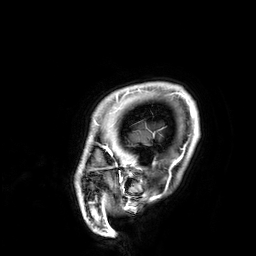
Summary: 3 Tesla brain MRI. Series: 3D T1-weighted. Study: ring-enhancing brain masses.